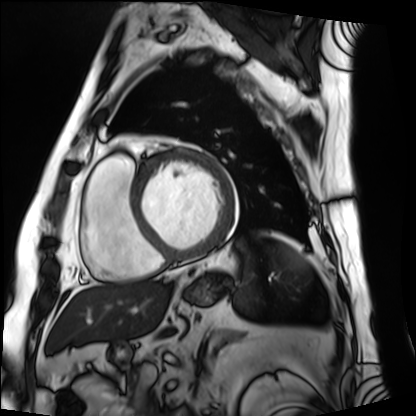
Summary: Cardiac MRI. Subject group: patient.